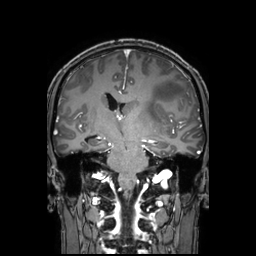
Q: What kind of scan is this?
A: 3 Tesla brain MRI.
Q: Series?
A: 3D T1-weighted TFE with SENSE.
Study: ring-enhancing brain masses.